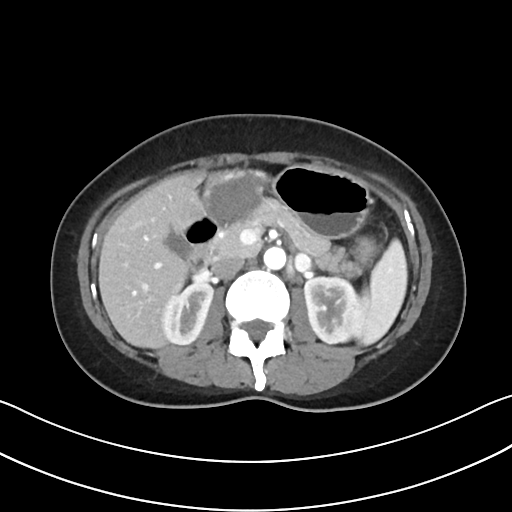
modality:
  type: multiphase abdominal CT
  region: liver
  phase: arterial
patient:
  sex: female
  age: 37